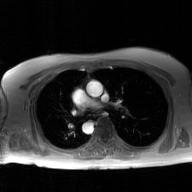
<record>
<modality>
  <type>2D phase-contrast cine MRI</type>
  <region>ascending aorta</region>
  <reconstruction>GAN super-resolution reconstruction</reconstruction>
</modality>
</record>